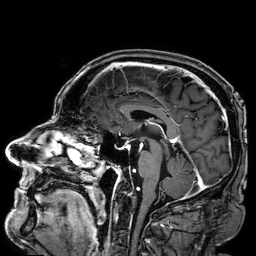
* modality: 3 Tesla brain MRI
* series: 3D T1-weighted
* study: ring-enhancing brain masses